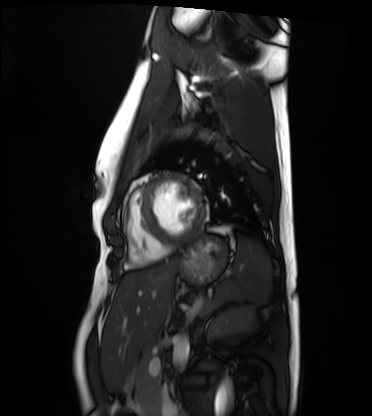
Cardiac MRI. Subject group: healthy volunteer.